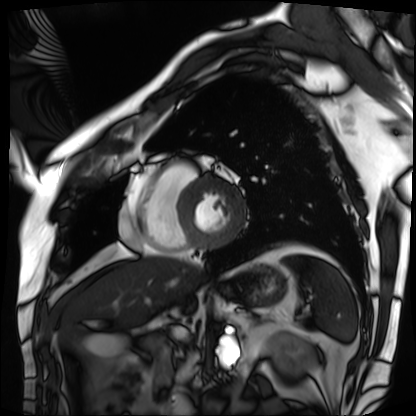
Clinical context:
Cardiac MRI. Subject group: patient.